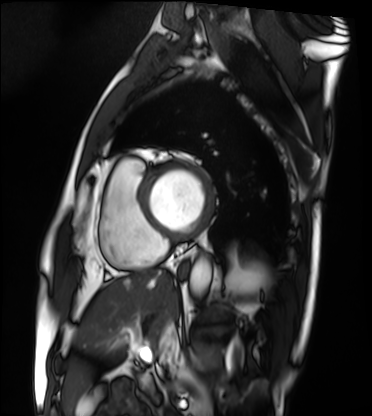
Cardiac MRI. Subject group: patient.